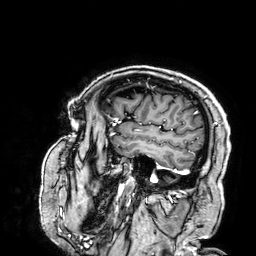
3 Tesla brain MRI. Series: 3D T1-weighted. Study: ring-enhancing brain masses.